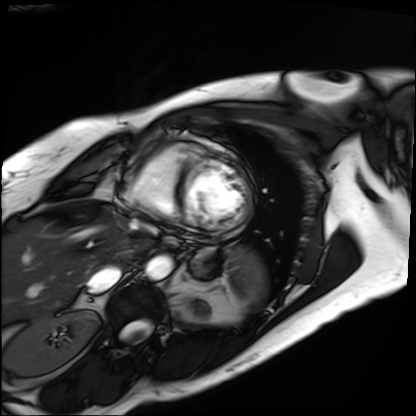
Clinical context: Cardiac MRI. Subject group: patient.